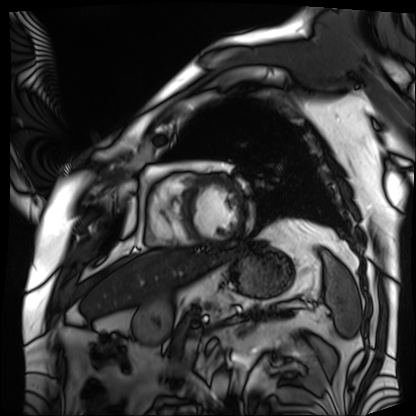
modality = cardiac MRI, subject group = patient.